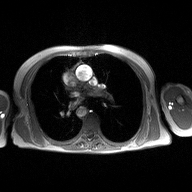
Q: What kind of scan is this?
A: 2D phase-contrast cine MRI of the ascending aorta.